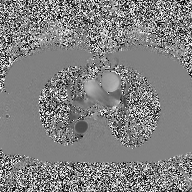
<study>
  <modality>
    <type>2D phase-contrast cine MRI</type>
    <region>ascending aorta</region>
    <reconstruction>high-resolution GRAPPA acquisition</reconstruction>
  </modality>
</study>